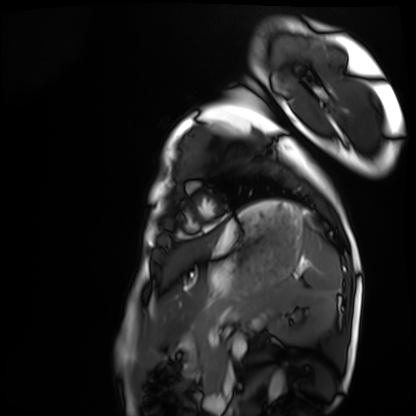
modality: cardiac MRI
subject group: healthy volunteer